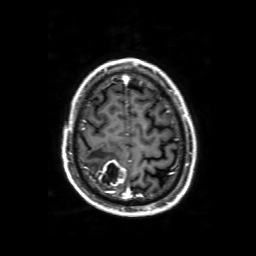
• modality: 3 Tesla brain MRI
• series: 3D T1-weighted with SENSE
• study: ring-enhancing brain masses